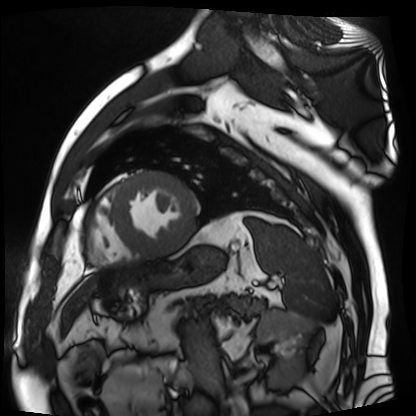
– modality · cardiac MR image of the myocardium
– subject cohort · cardiac patient